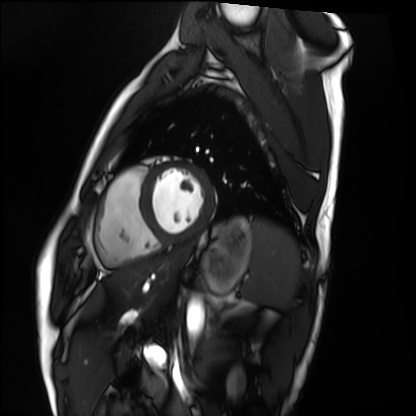
– modality · cardiac MRI
– subject group · healthy volunteer